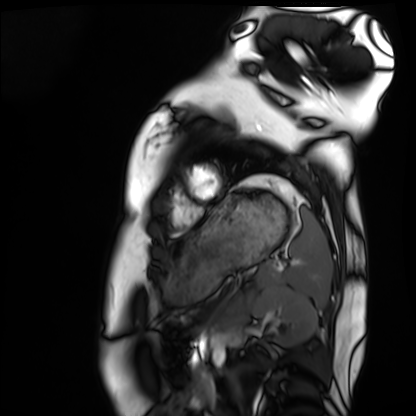
Q: What kind of scan is this?
A: Cardiac MRI.
Subject group: healthy volunteer.